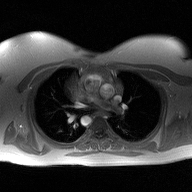
2D phase-contrast cine MRI of the ascending aorta, high-resolution GRAPPA acquisition.